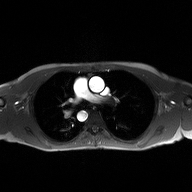
modality=2D phase-contrast cine MRI of the ascending aorta.